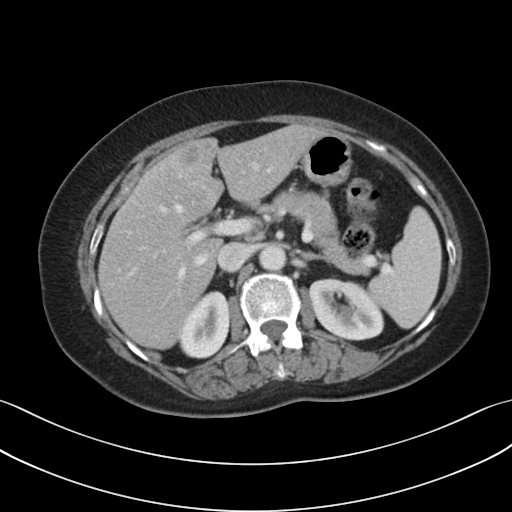
| field | value |
|---|---|
| modality | multiphase abdominal CT, liver, portal venous phase |
| patient | female, age 64 |
| history | prior chemotherapy |